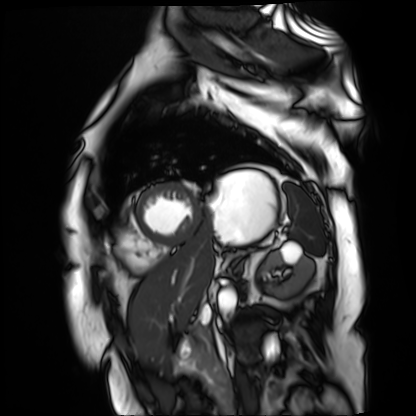
Q: What kind of scan is this?
A: Cardiac MR image of the myocardium.
Subject cohort: cardiac patient.